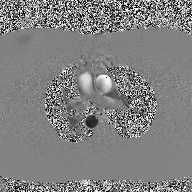
{"modality": {"type": "2D phase-contrast cine MRI", "region": "ascending aorta", "reconstruction": "high-resolution GRAPPA acquisition"}}